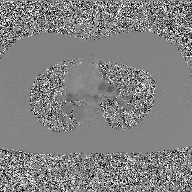
2D phase-contrast cine MRI of the ascending aorta, GAN super-resolution reconstruction.